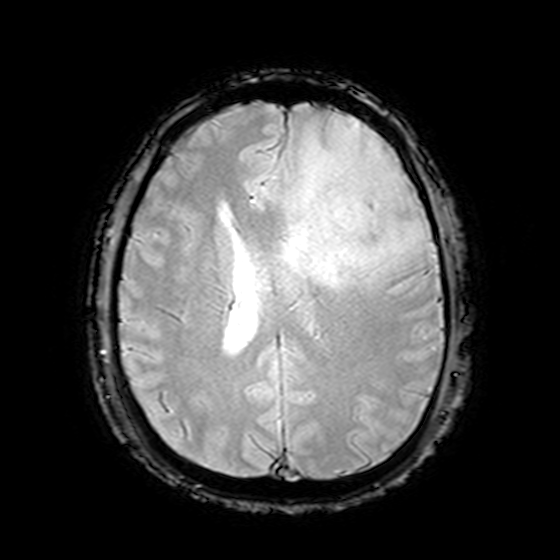
3 Tesla brain MRI.
Series: T2-weighted fast field echo.
Study: ring-enhancing brain masses.